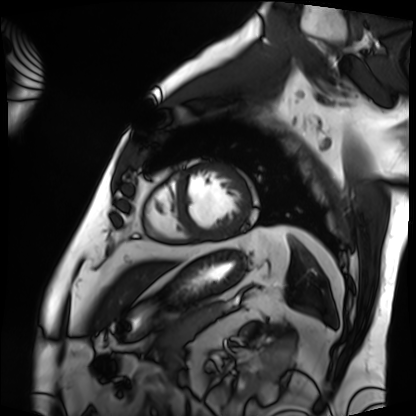
- modality — cardiac MRI
- subject group — patient